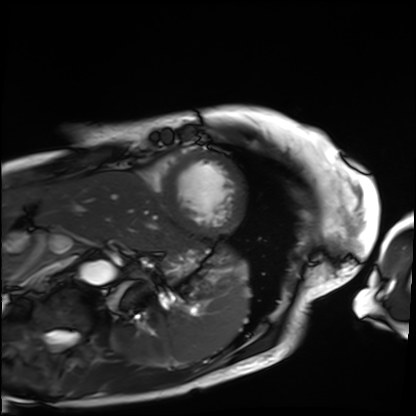
Cardiac MRI.
Subject group: patient.